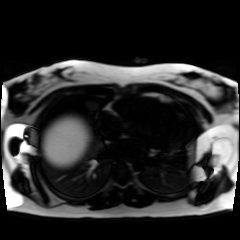
modality = chemical-shift-encoded cardiac MRI